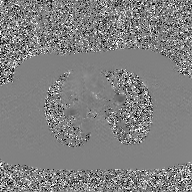
| field | value |
|---|---|
| modality | 2D phase-contrast cine MRI of the ascending aorta, GAN super-resolution reconstruction |